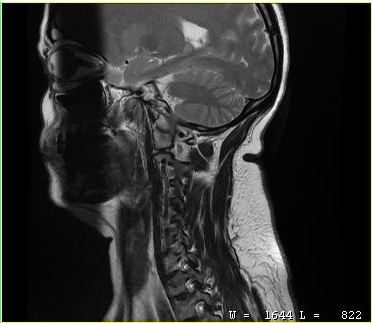
{
  "modality": {
    "type": "cervical spine MRI"
  },
  "study_topic": "cervical spondylosis"
}